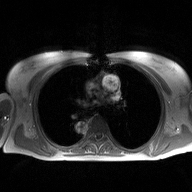
Summary: 2D phase-contrast cine MRI of the ascending aorta, high-resolution GRAPPA acquisition.